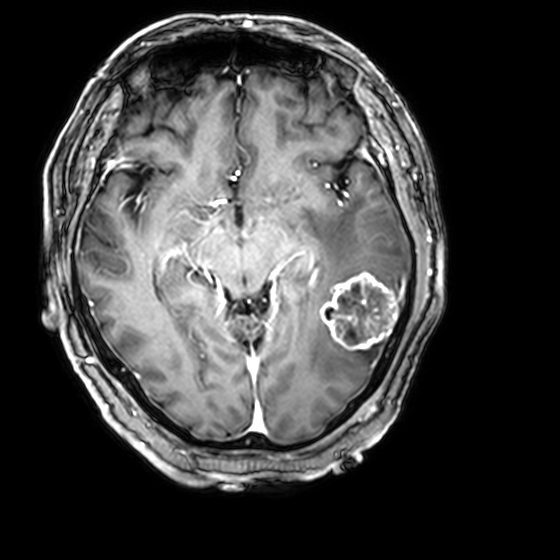
3 Tesla brain MRI. Study: ring-enhancing brain masses.